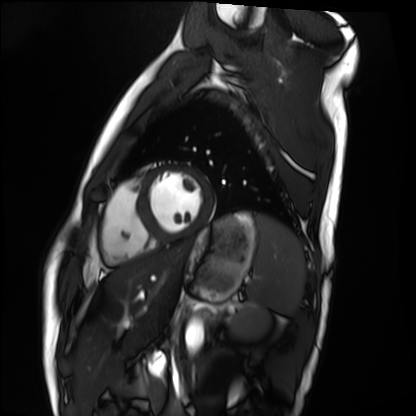
Clinical context: Cardiac MRI. Subject group: healthy volunteer.